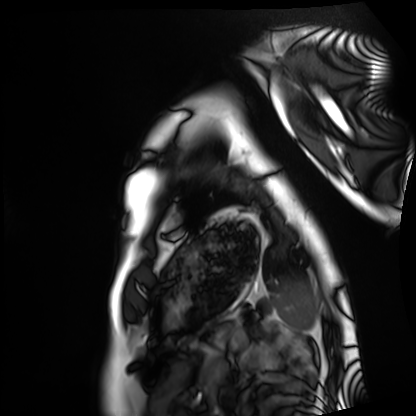
| field | value |
|---|---|
| modality | cardiac MRI |
| subject group | healthy volunteer |